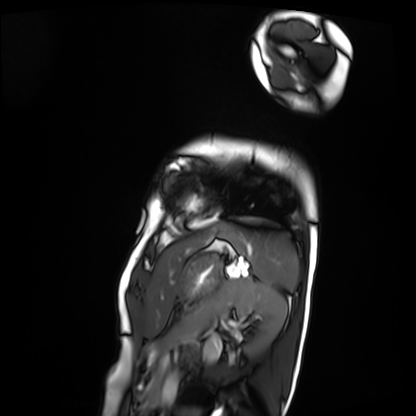
• modality · cardiac MRI
• subject group · patient